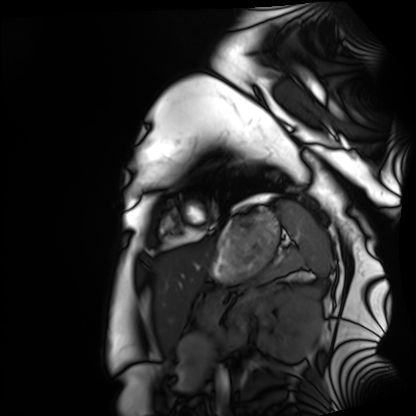
Q: What kind of scan is this?
A: Cardiac MRI.
Subject group: healthy volunteer.